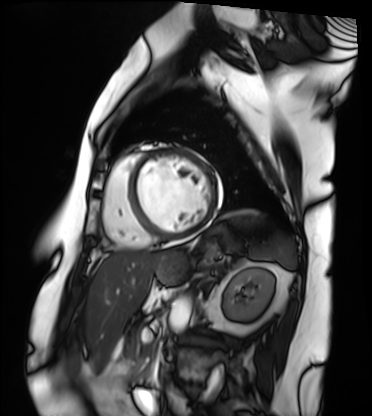
<scan>
<modality>cardiac MRI</modality>
<cohort>patient</cohort>
</scan>